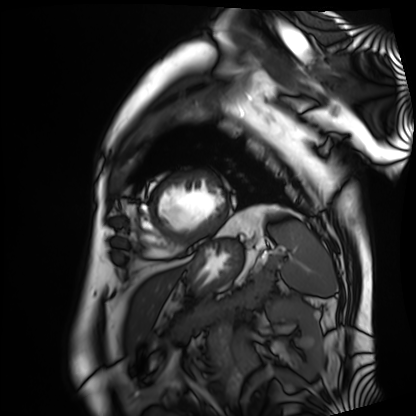
* modality: cardiac MRI
* subject group: patient